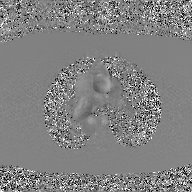
2D phase-contrast cine MRI of the ascending aorta, GAN super-resolution reconstruction.